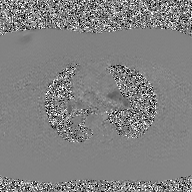
- modality: 2D phase-contrast cine MRI of the ascending aorta, GAN super-resolution reconstruction